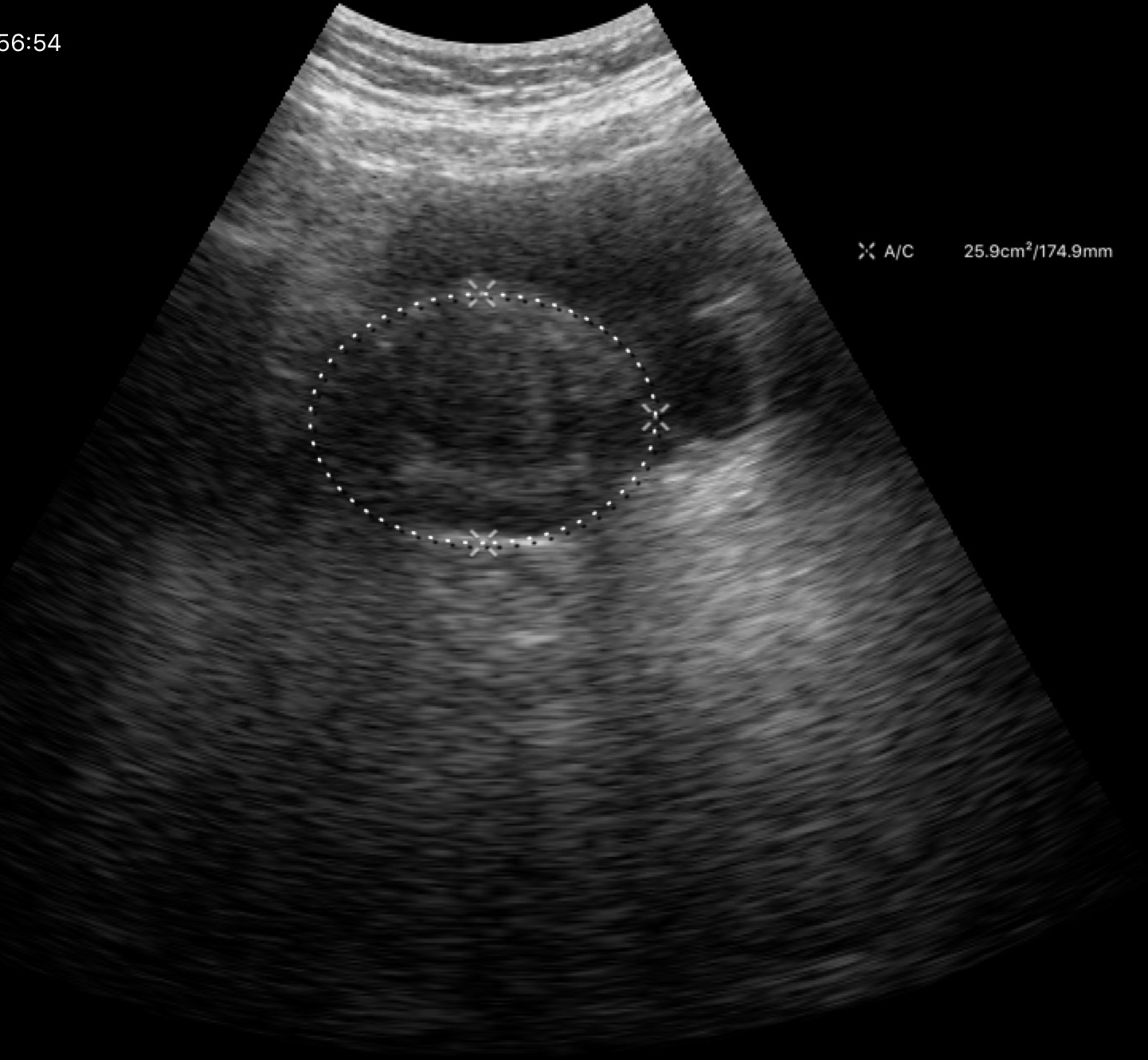
Genitourinary ultrasound.